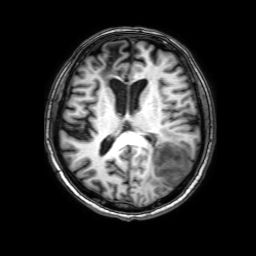
3 Tesla brain MRI. Series: 3D T1-weighted with SENSE. Study: ring-enhancing brain masses.